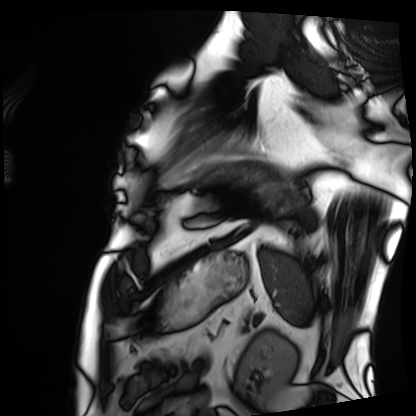
Q: What kind of scan is this?
A: Cardiac MRI.
Subject group: patient.